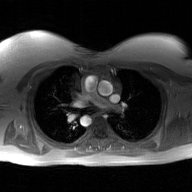
{
  "modality": {
    "type": "2D phase-contrast cine MRI",
    "region": "ascending aorta",
    "reconstruction": "GAN super-resolution reconstruction"
  }
}